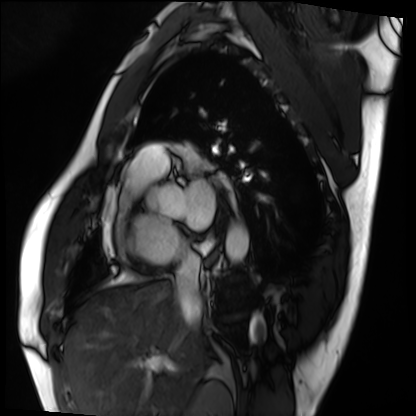
modality: cardiac MRI
subject group: patient